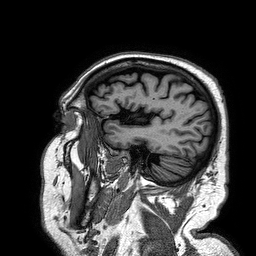
Case:
- modality: 3 Tesla brain MRI
- series: 3D T1-weighted turbo field echo
- study: ring-enhancing brain masses